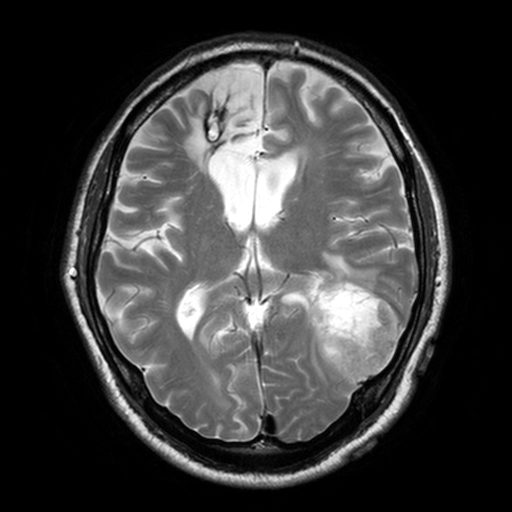
3 Tesla brain MRI. Series: T2-weighted turbo spin echo, 3 mm. Study: ring-enhancing brain masses.